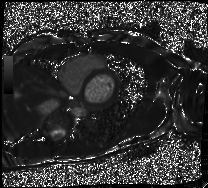
Summary: Cardiac MRI. Subject group: patient.